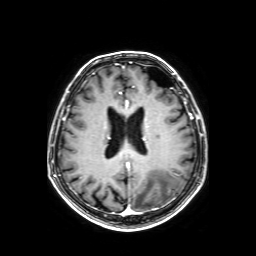
Case:
* modality · 3 Tesla brain MRI
* series · axial T1-weighted fusion image
* study · ring-enhancing brain masses